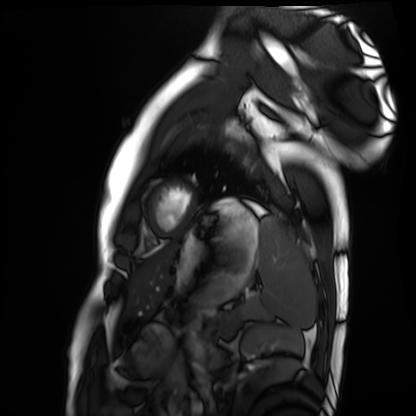
Clinical context:
Cardiac MRI. Subject group: healthy volunteer.